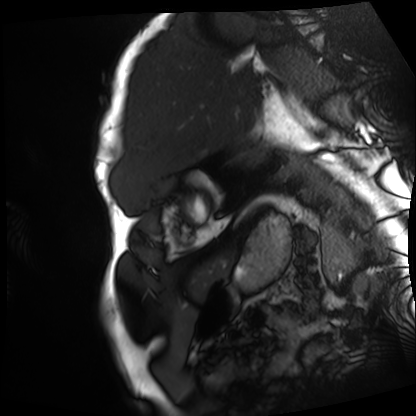
Summary:
Cardiac MRI. Subject group: patient.